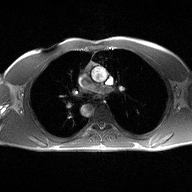
2D phase-contrast cine MRI of the ascending aorta, high-resolution GRAPPA acquisition.